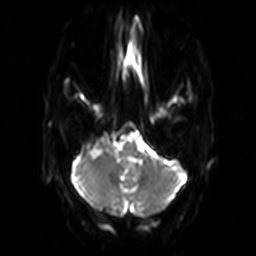
3 Tesla brain MRI. Series: diffusion-weighted imaging. Study: ring-enhancing brain masses.